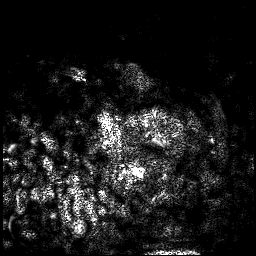
Q: What kind of scan is this?
A: 3 Tesla brain MRI.
Q: Series?
A: 3D T1-weighted.
Study: ring-enhancing brain masses.